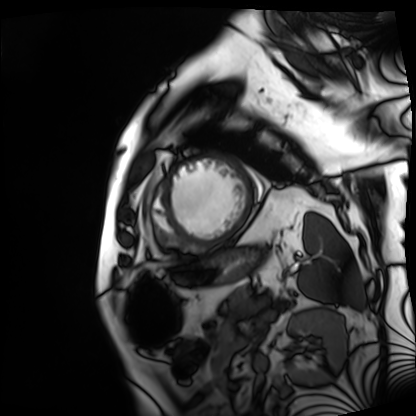
Clinical context: Cardiac MRI. Subject group: patient.